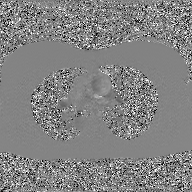
<scan>
  <modality>
    <type>2D phase-contrast cine MRI</type>
    <region>ascending aorta</region>
    <reconstruction>GAN super-resolution reconstruction</reconstruction>
  </modality>
</scan>